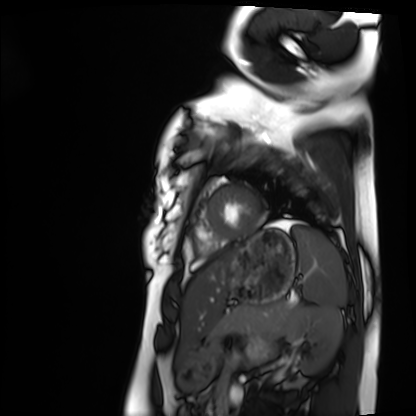
Cardiac MRI. Subject group: healthy volunteer.